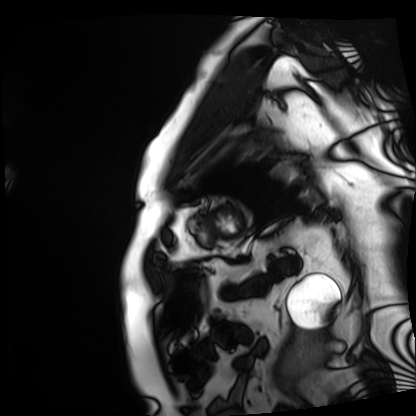
Q: What kind of scan is this?
A: Cardiac MRI.
Subject group: patient.